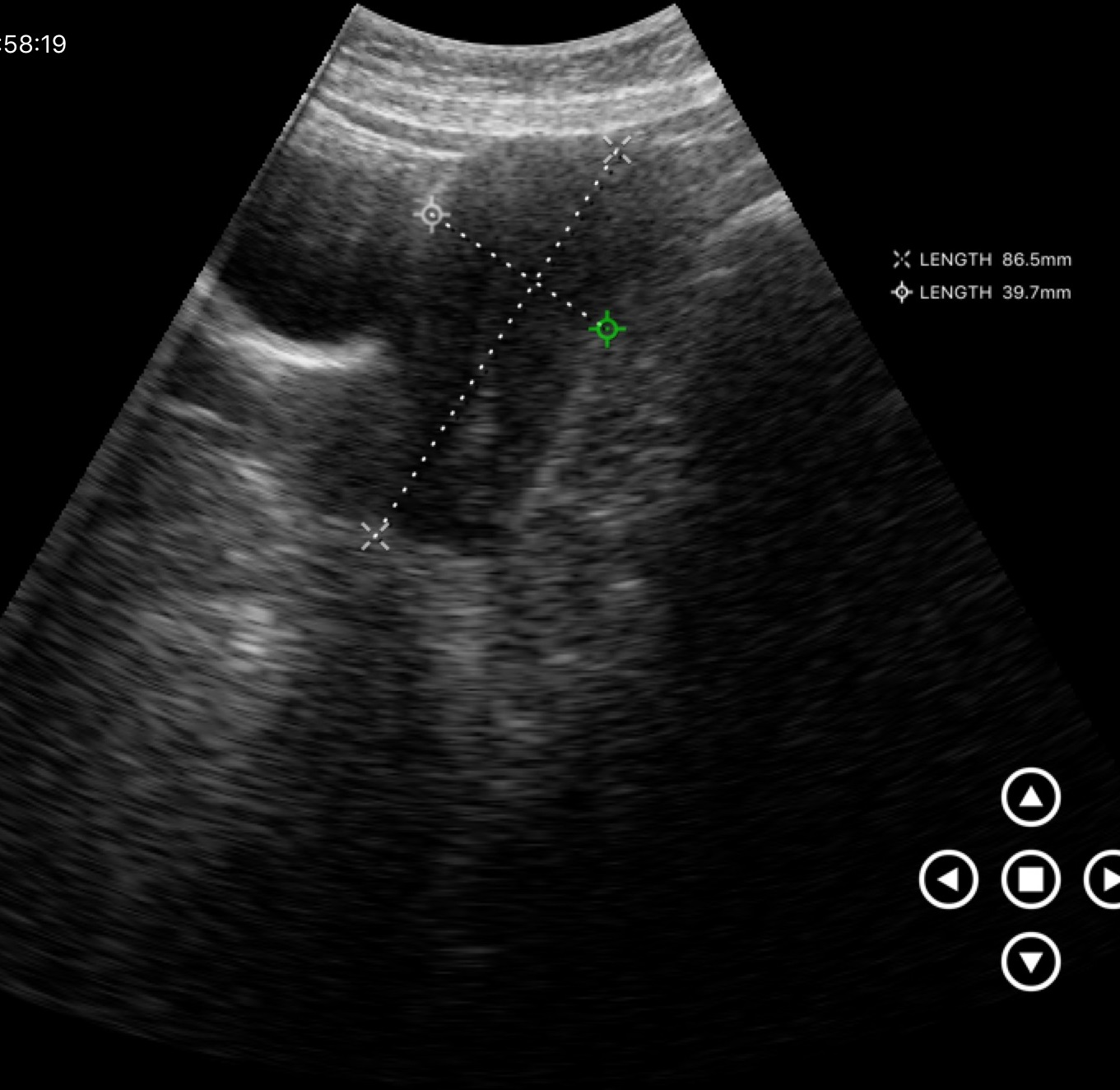
modality — genitourinary ultrasound.